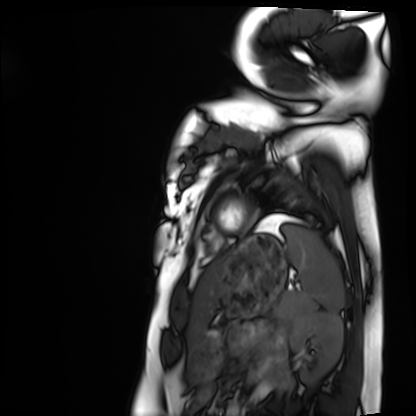
– modality: cardiac MRI
– subject group: healthy volunteer